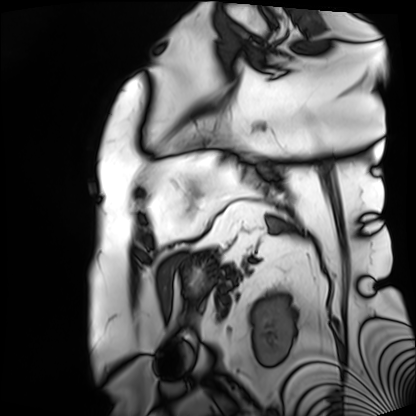
Cardiac MRI. Subject group: patient.